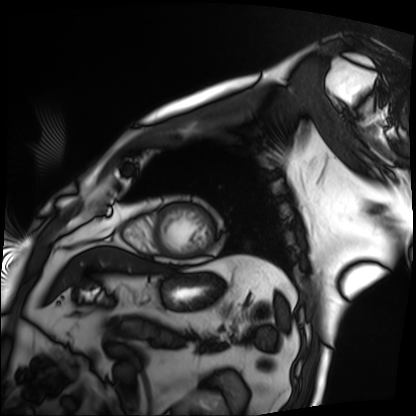
Case summary:
Cardiac MRI. Subject group: patient.